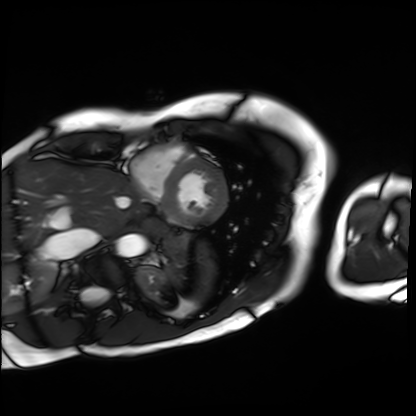
Case summary: Cardiac MRI. Subject group: patient.